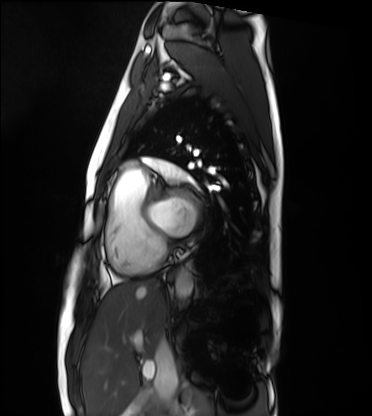
Summary:
Cardiac MRI. Subject group: healthy volunteer.